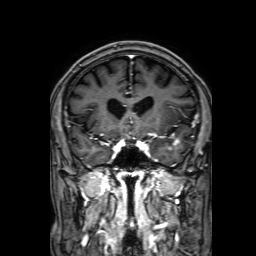
Case summary:
3 Tesla brain MRI. Series: 3D T1-weighted with SENSE. Study: ring-enhancing brain masses.